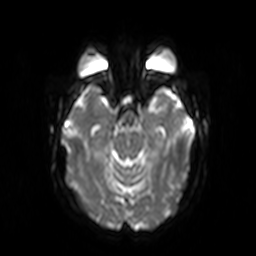
Case:
- modality — 3 Tesla brain MRI
- series — diffusion-weighted imaging
- study — ring-enhancing brain masses